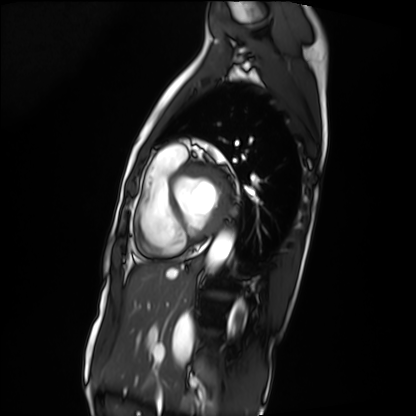
<study>
<modality>cardiac MRI</modality>
<cohort>patient</cohort>
</study>